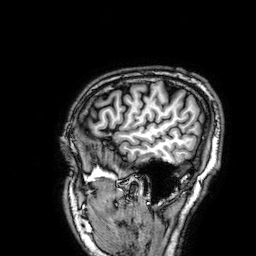
– modality · 3 Tesla brain MRI
– series · 3D T1-weighted
– study · ring-enhancing brain masses